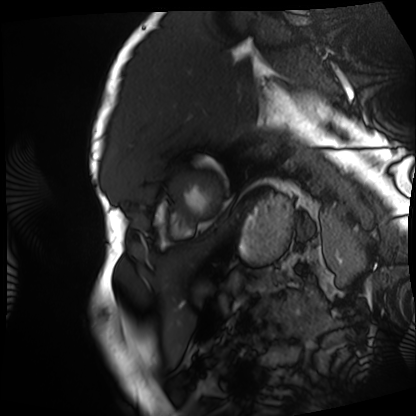
<study>
  <modality>cardiac MRI</modality>
  <cohort>patient</cohort>
</study>